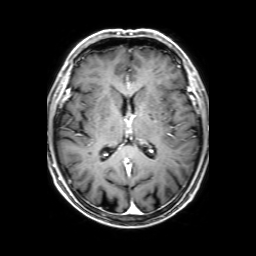
3 Tesla brain MRI. Series: 3D T1-weighted with SENSE. Study: ring-enhancing brain masses.